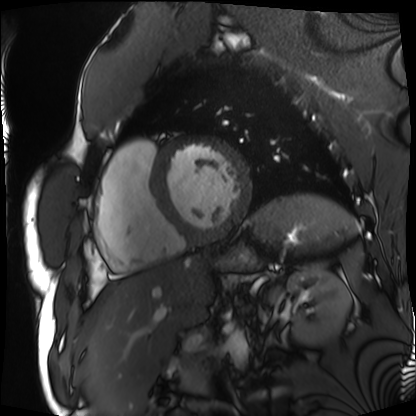
Cardiac MRI. Subject group: patient.